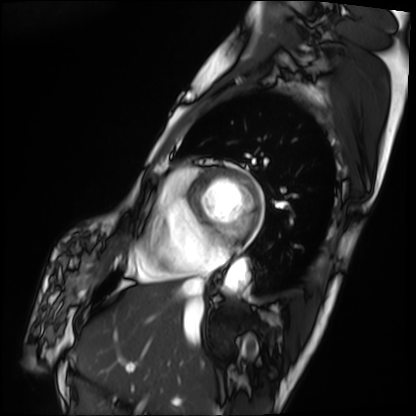
Q: What kind of scan is this?
A: Cardiac MRI.
Subject group: patient.